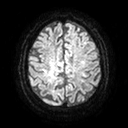
modality — 3 Tesla brain MRI; series — diffusion tensor imaging (medium iso); study — ring-enhancing brain masses.